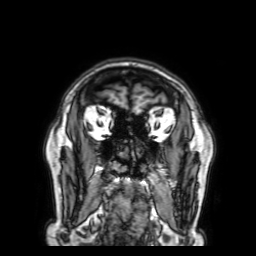
3 Tesla brain MRI.
Series: 3D T1-weighted with SENSE.
Study: ring-enhancing brain masses.